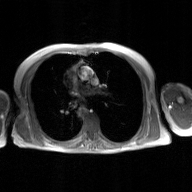
{"modality": {"type": "2D phase-contrast cine MRI", "region": "ascending aorta", "reconstruction": "GAN super-resolution reconstruction"}}